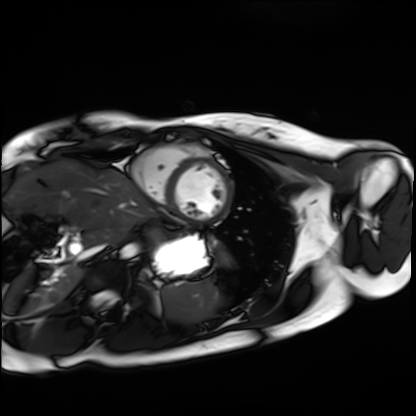
modality: cardiac MRI
cohort: healthy volunteer